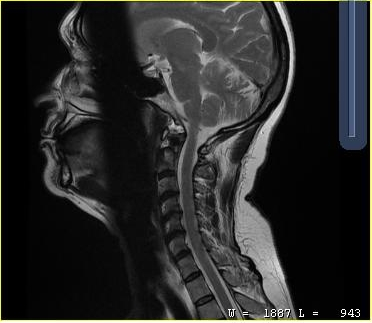
MRI of the cervical spine. Study: cervical spondylosis.